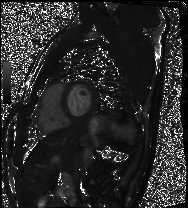
Cardiac MRI.
Subject group: healthy volunteer.